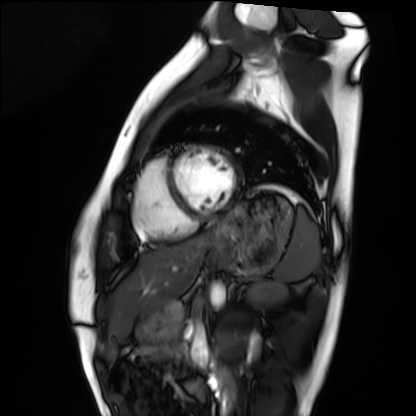
Summary:
Cardiac MRI. Subject group: healthy volunteer.